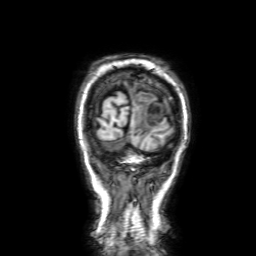
• modality: 3 Tesla brain MRI
• series: 3D T1-weighted with SENSE
• study: ring-enhancing brain masses